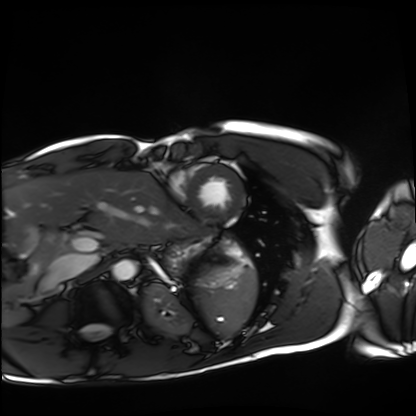
Cardiac MRI. Subject group: healthy volunteer.